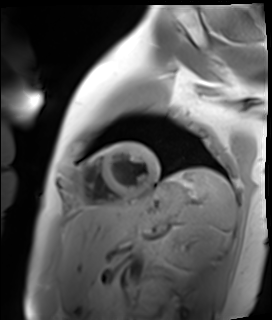
Q: What kind of scan is this?
A: Cardiac MR image of the myocardium.
Subject cohort: healthy volunteer.